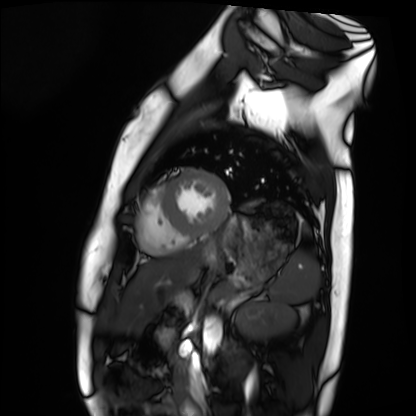
Cardiac MRI.
Subject group: healthy volunteer.